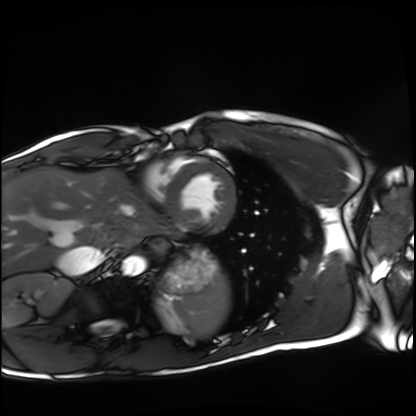
Case summary: Cardiac MRI. Subject group: healthy volunteer.